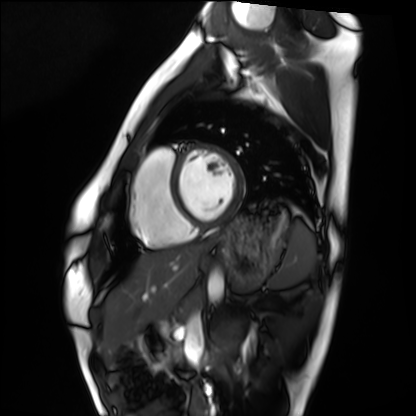
modality = cardiac MRI, subject group = healthy volunteer.